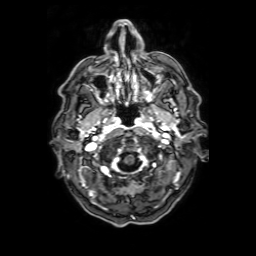
3 Tesla brain MRI.
Series: axial T1-weighted fusion image.
Study: ring-enhancing brain masses.